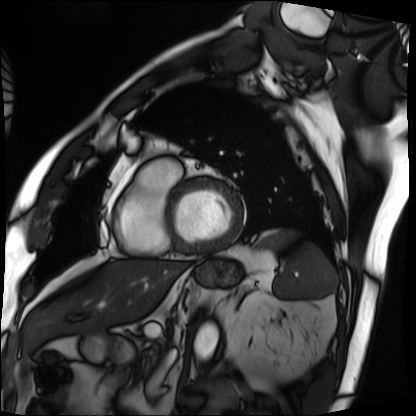
modality = cardiac MRI, subject group = patient.